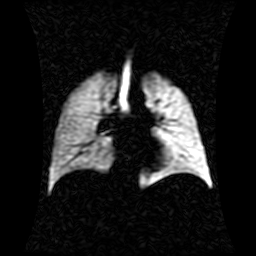
• modality: hyperpolarized 129Xe ventilation MRI of the lungs
• SNR level: 1 of 8 (the deposit holds this scan as its native image and as seven SNR-degraded versions)